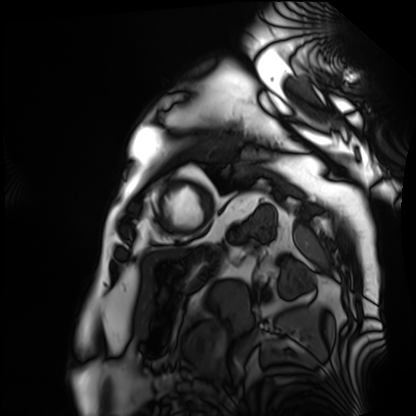
Cardiac MRI. Subject group: patient.